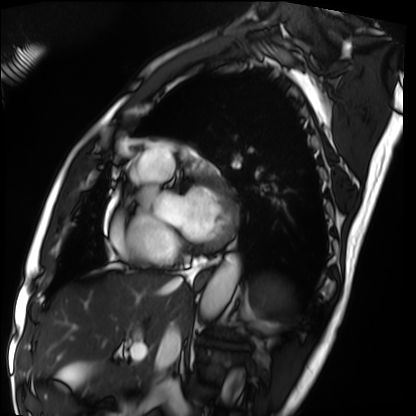
Case:
* modality · cardiac MRI
* subject group · patient